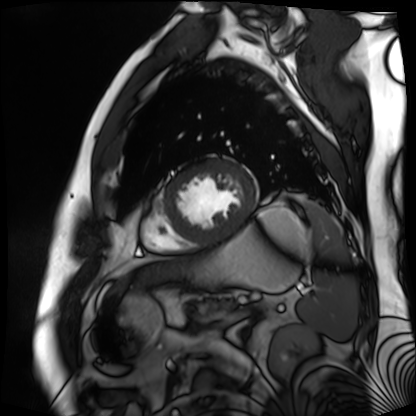
Cardiac MR image of the myocardium. Subject cohort: cardiac patient.